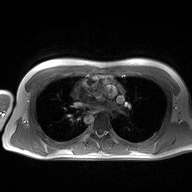
| field | value |
|---|---|
| modality | 2D phase-contrast cine MRI of the ascending aorta |